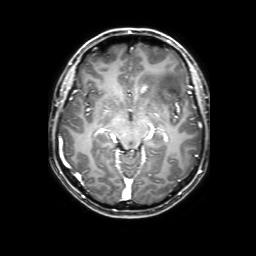
3 Tesla brain MRI. Series: 3D T1-weighted with SENSE. Study: ring-enhancing brain masses.